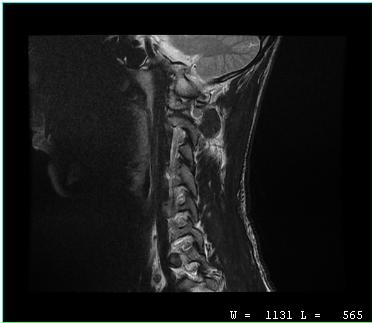
Q: What kind of scan is this?
A: MRI of the cervical spine.
Study: cervical spondylosis.